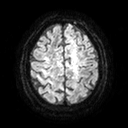
3 Tesla brain MRI.
Series: diffusion tensor imaging (medium iso).
Study: ring-enhancing brain masses.